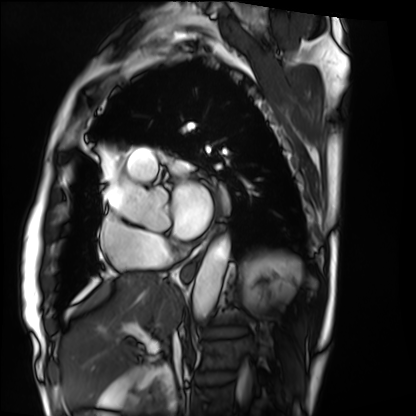
Clinical context: Cardiac MRI. Subject group: patient.